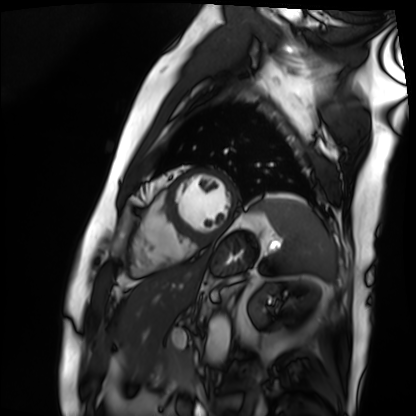
modality: cardiac MRI
cohort: patient